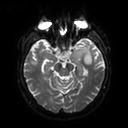
3 Tesla brain MRI. Series: diffusion tensor imaging (medium iso). Study: ring-enhancing brain masses.